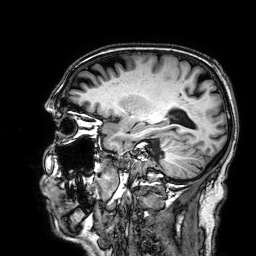
3 Tesla brain MRI. Series: 3D T1-weighted. Study: ring-enhancing brain masses.